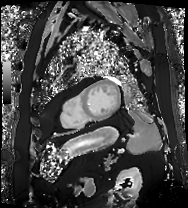
modality: cardiac MRI | subject group: patient.